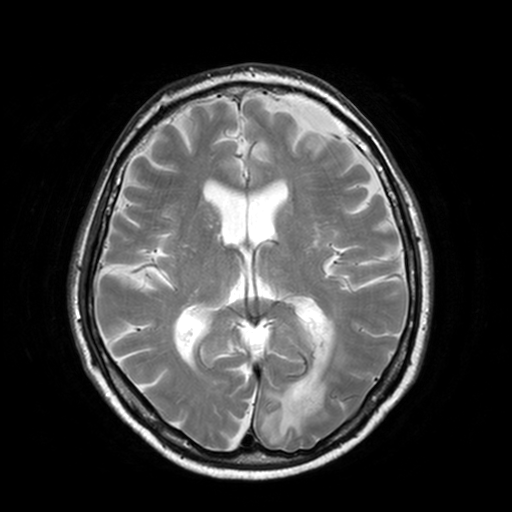
3 Tesla brain MRI. Series: T2-weighted turbo spin echo, 3 mm. Study: ring-enhancing brain masses.